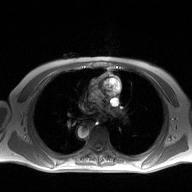
<record>
<modality>
  <type>2D phase-contrast cine MRI</type>
  <region>ascending aorta</region>
  <reconstruction>high-resolution GRAPPA acquisition</reconstruction>
</modality>
</record>